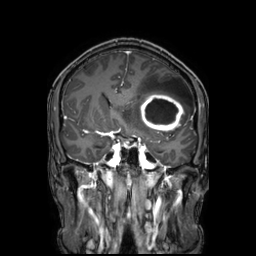
3 Tesla brain MRI.
Series: 3D T1-weighted TFE with SENSE.
Study: ring-enhancing brain masses.